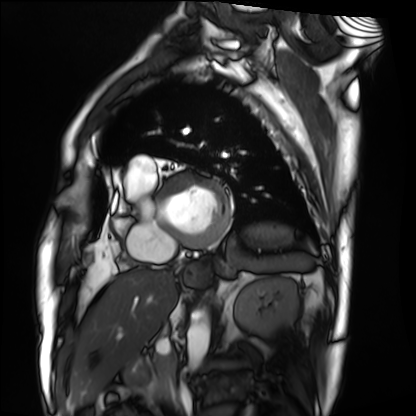
Summary: Cardiac MRI. Subject group: patient.